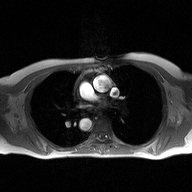
Q: What kind of scan is this?
A: 2D phase-contrast cine MRI of the ascending aorta.